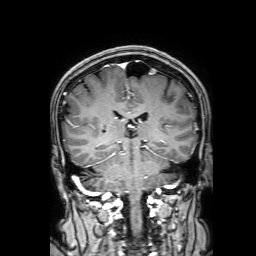
Q: What kind of scan is this?
A: 3 Tesla brain MRI.
Q: Series?
A: 3D T1-weighted with SENSE.
Study: ring-enhancing brain masses.